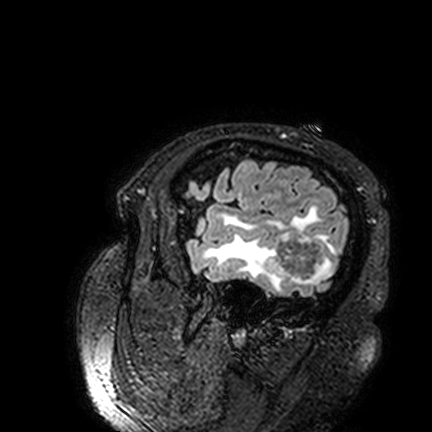
Clinical context:
3 Tesla brain MRI. Series: FLAIR VISTA. Study: ring-enhancing brain masses.